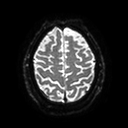
Summary:
3 Tesla brain MRI. Series: diffusion tensor imaging (medium iso). Study: ring-enhancing brain masses.